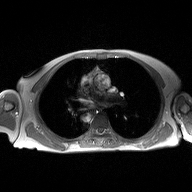
Q: What kind of scan is this?
A: 2D phase-contrast cine MRI of the ascending aorta.